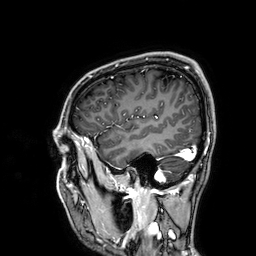
3 Tesla brain MRI. Series: 3D T1-weighted. Study: ring-enhancing brain masses.